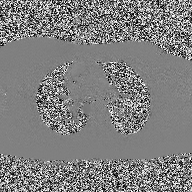
* modality · 2D phase-contrast cine MRI of the ascending aorta